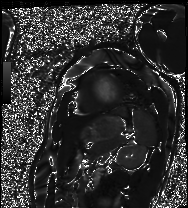
Cardiac MRI. Subject group: patient.